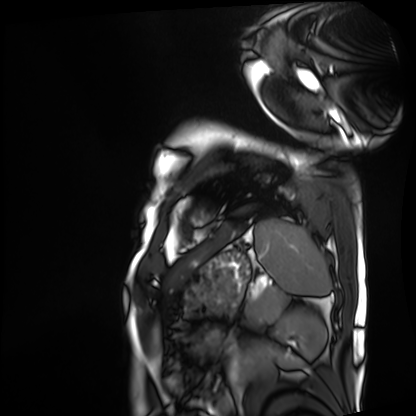
Summary:
Cardiac MRI. Subject group: patient.